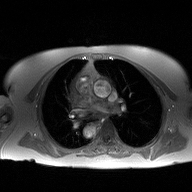
Case summary: 2D phase-contrast cine MRI of the ascending aorta, high-resolution GRAPPA acquisition.